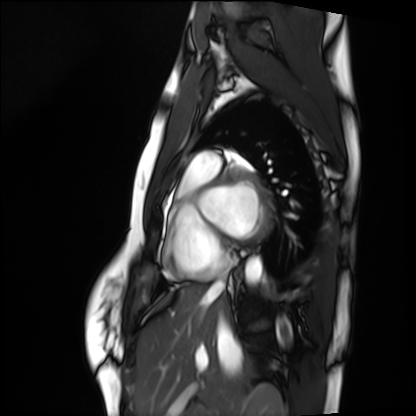
Cardiac MRI. Subject group: healthy volunteer.